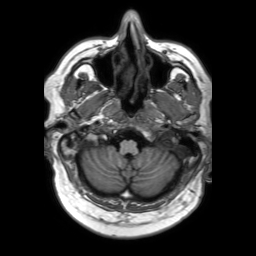
3 Tesla brain MRI.
Series: 3D T1-weighted TFE with SENSE.
Study: ring-enhancing brain masses.